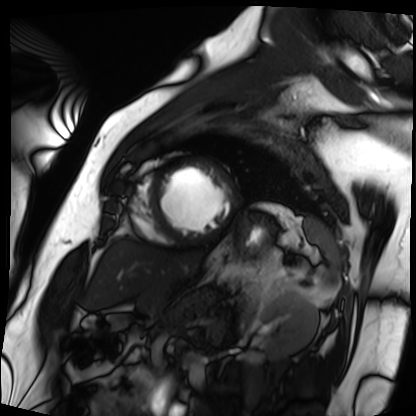
Cardiac MRI. Subject group: patient.